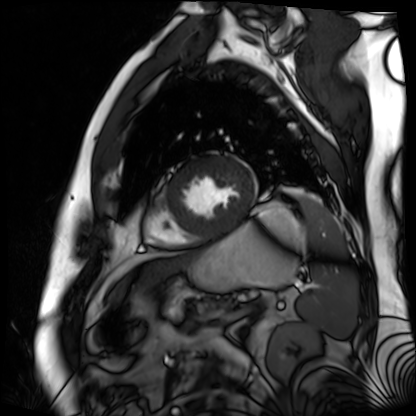
modality = cardiac MR image of the myocardium, subject cohort = cardiac patient.